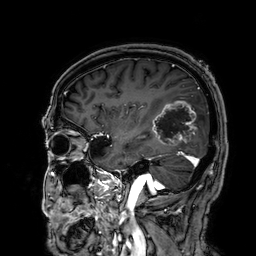
Case summary:
3 Tesla brain MRI. Series: 3D T1-weighted. Study: ring-enhancing brain masses.